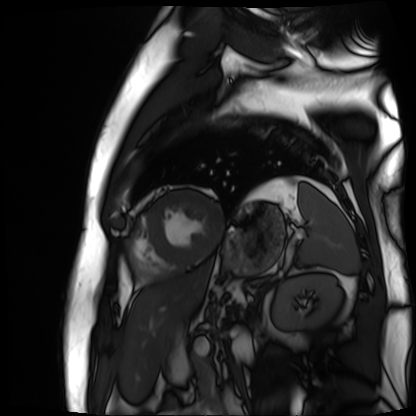
Cardiac MR image of the myocardium. Subject cohort: cardiac patient.